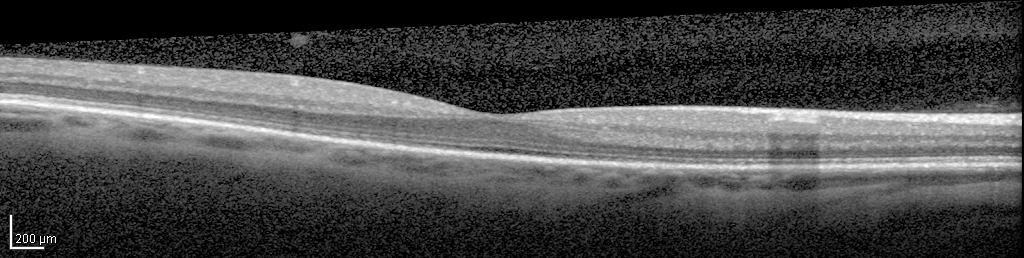
Spectral-domain optical coherence tomography (SD-OCT) of the macula. Subject: male, age 45, right eye. Cohort: non-diabetic control. ETDRS-grid retinal thickness (μm): central 307, inner temporal 347, inner nasal 351, inner superior 357, inner inferior 345, outer temporal 293, outer nasal 316, outer superior 310, outer inferior 295.